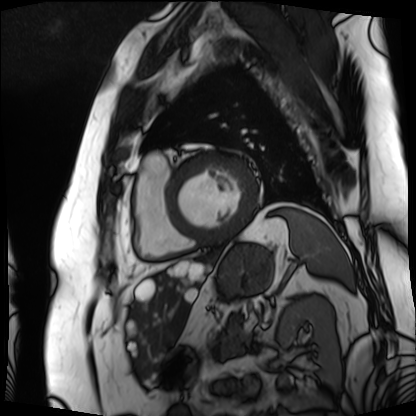
Cardiac MRI.
Subject group: patient.